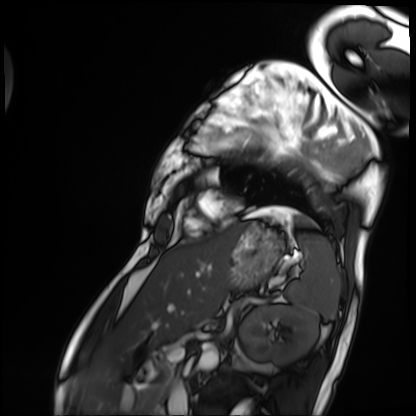
Cardiac MRI. Subject group: patient.